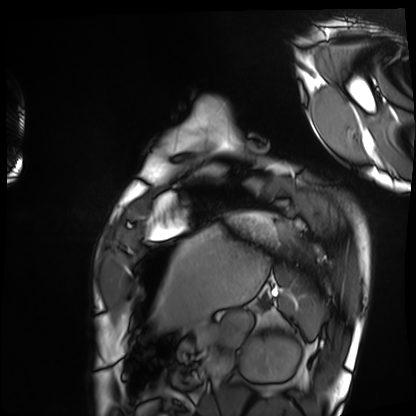
Cardiac MRI. Subject group: healthy volunteer.